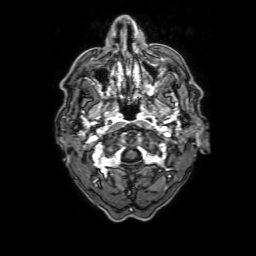
Q: What kind of scan is this?
A: 3 Tesla brain MRI.
Q: Series?
A: 3D T1-weighted with SENSE.
Study: ring-enhancing brain masses.